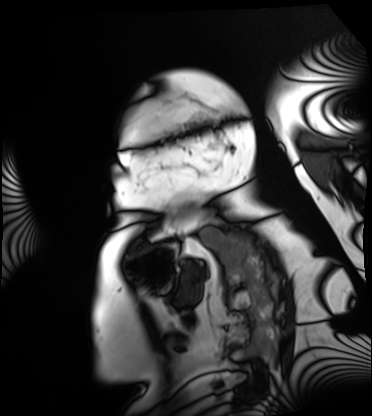
Summary:
Cardiac MRI. Subject group: patient.